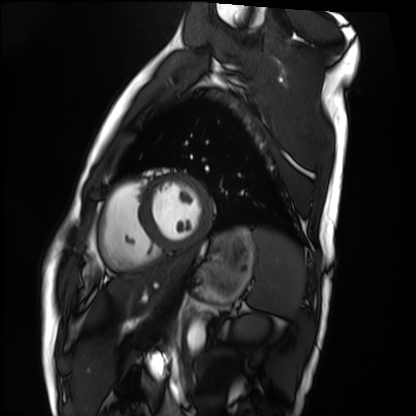
modality: cardiac MRI | subject group: healthy volunteer.